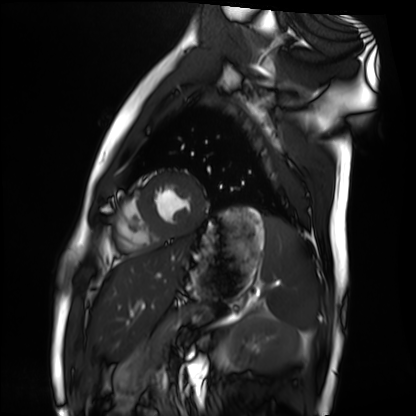
Cardiac MRI. Subject group: healthy volunteer.